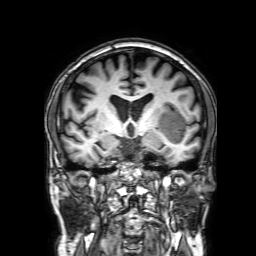
Clinical context:
3 Tesla brain MRI. Series: 3D T1-weighted with SENSE. Study: ring-enhancing brain masses.